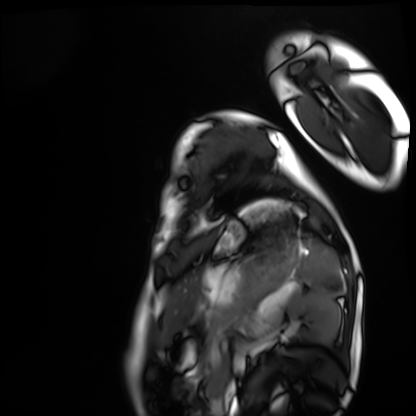
Case summary:
Cardiac MRI. Subject group: healthy volunteer.